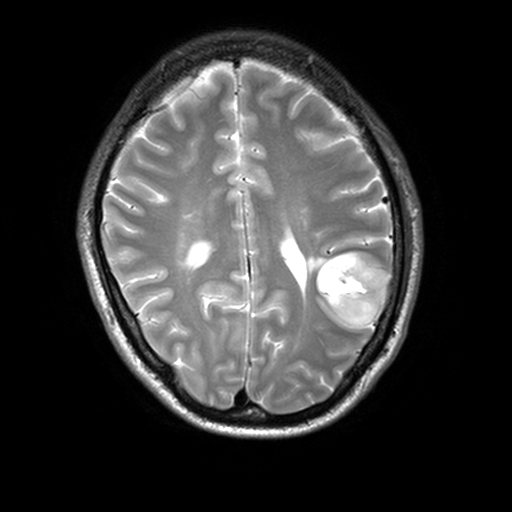
- modality: 3 Tesla brain MRI
- series: T2-weighted turbo spin echo, 3 mm
- study: ring-enhancing brain masses